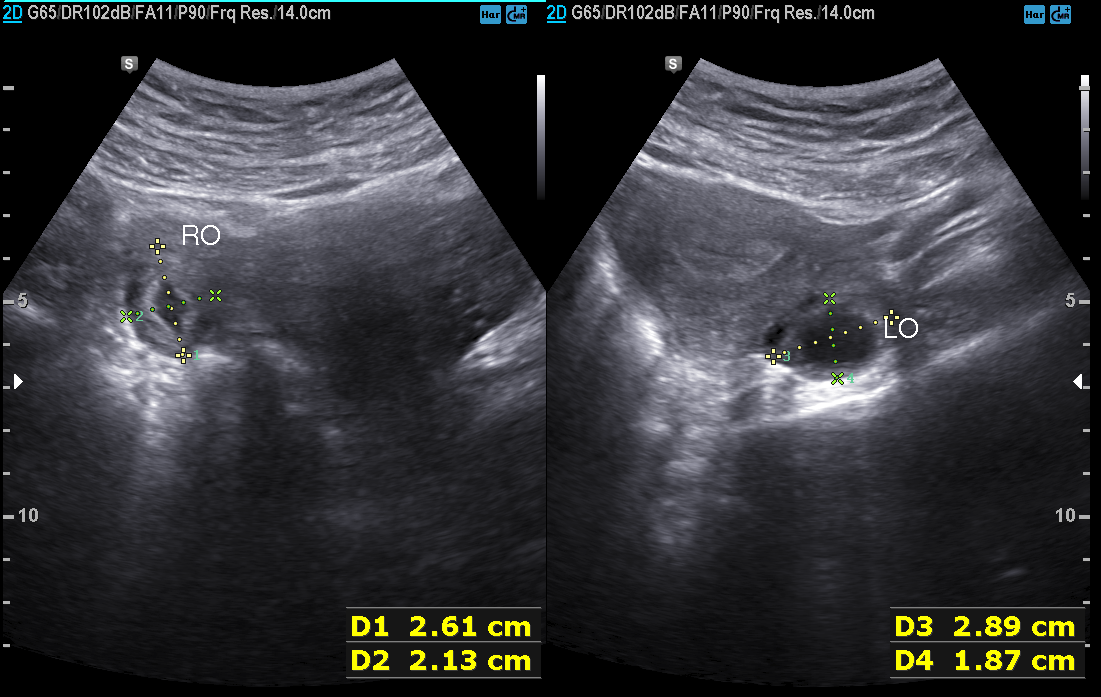
Case summary:
Genitourinary ultrasound.